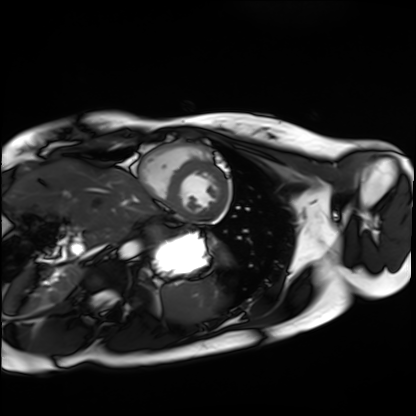
Case summary: Cardiac MRI. Subject group: healthy volunteer.